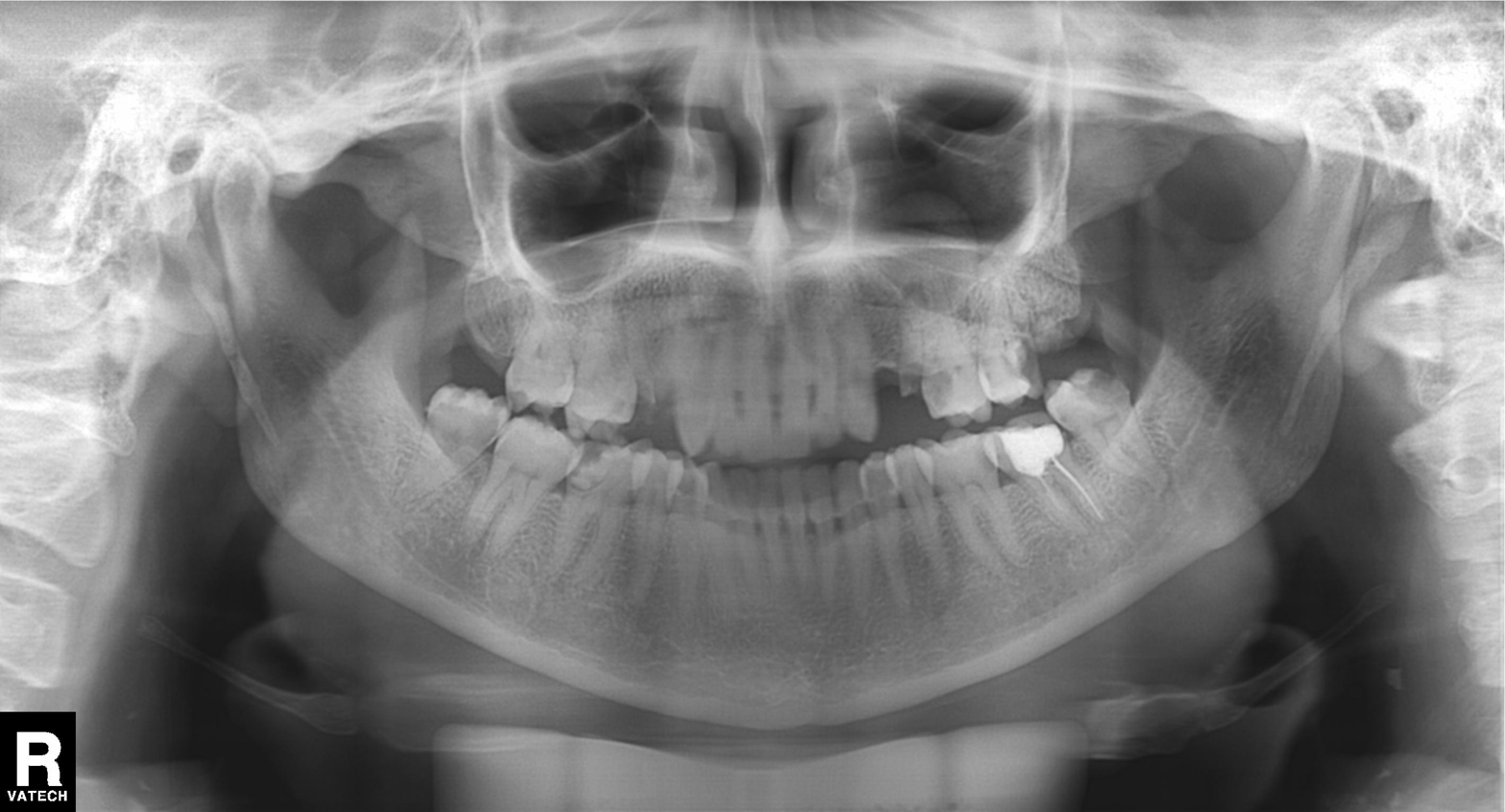
modality: panoramic dental radiograph (orthopantomogram); finding: alveolar bone loss.